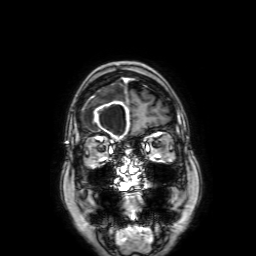
{"modality": {"type": "brain MRI", "field_strength": "3T"}, "series": "3D T1-weighted with SENSE", "study_topic": "ring-enhancing brain masses"}